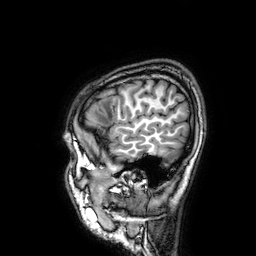
Q: What kind of scan is this?
A: 3 Tesla brain MRI.
Study: ring-enhancing brain masses.